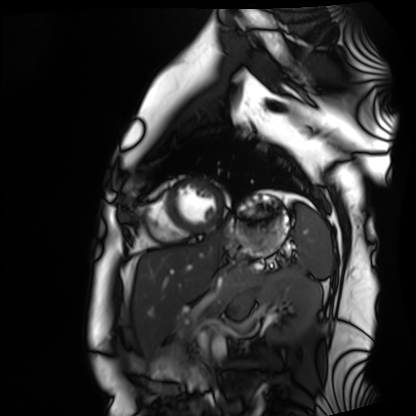
| field | value |
|---|---|
| modality | cardiac MRI |
| subject group | healthy volunteer |